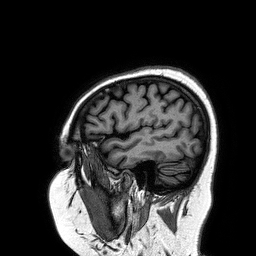
3 Tesla brain MRI.
Series: 3D T1-weighted turbo field echo.
Study: ring-enhancing brain masses.